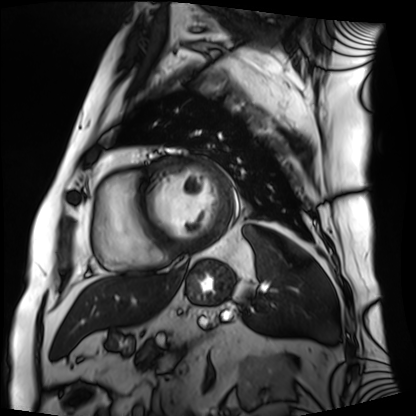
Cardiac MRI.
Subject group: patient.